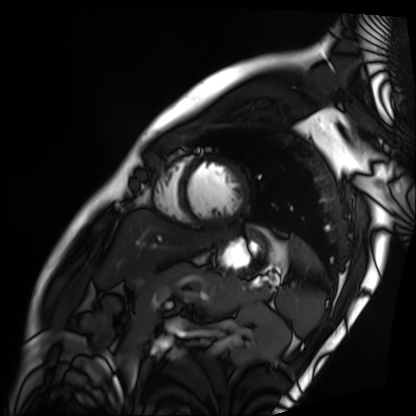
Summary: Cardiac MRI. Subject group: patient.